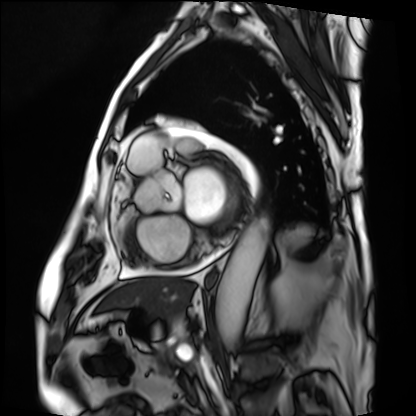
Cardiac MRI. Subject group: patient.